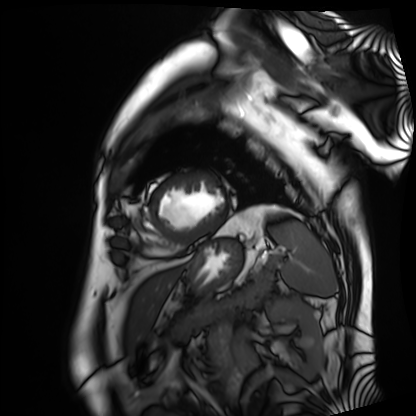
Cardiac MRI.
Subject group: patient.